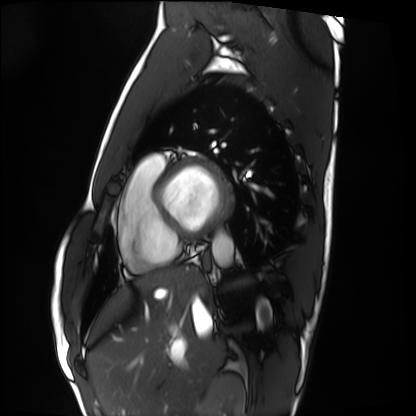
{
  "modality": "cardiac MRI",
  "cohort": "healthy volunteer"
}